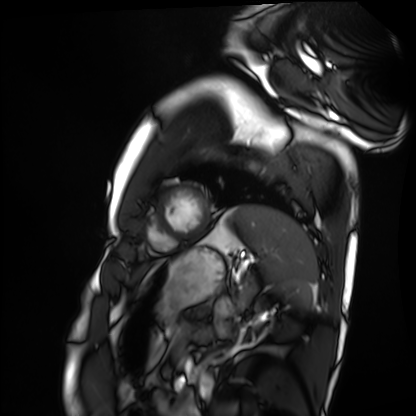
Cardiac MRI. Subject group: healthy volunteer.